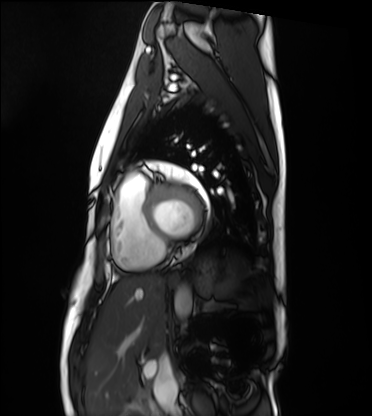
Cardiac MRI.
Subject group: healthy volunteer.